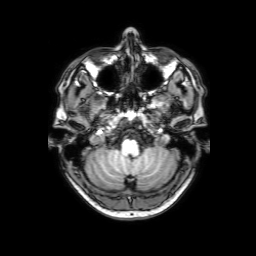
Q: What kind of scan is this?
A: 3 Tesla brain MRI.
Q: Series?
A: 3D T1-weighted with SENSE.
Study: ring-enhancing brain masses.